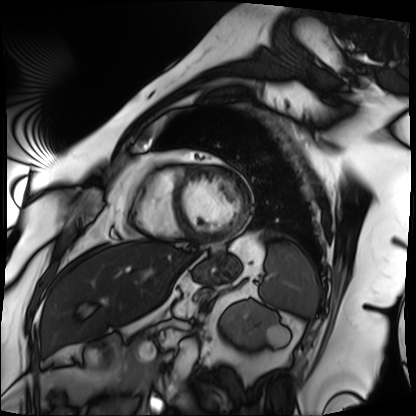
Cardiac MRI.
Subject group: patient.